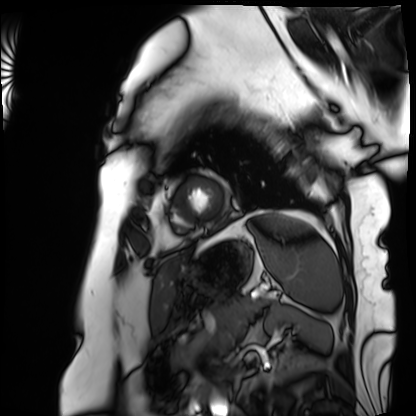
modality: cardiac MRI | subject group: patient.